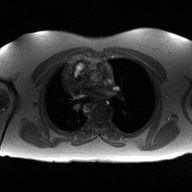
2D phase-contrast cine MRI of the ascending aorta, high-resolution GRAPPA acquisition.